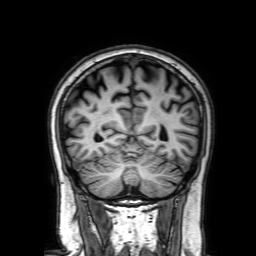
Case summary:
3 Tesla brain MRI. Series: 3D T1-weighted with SENSE. Study: ring-enhancing brain masses.